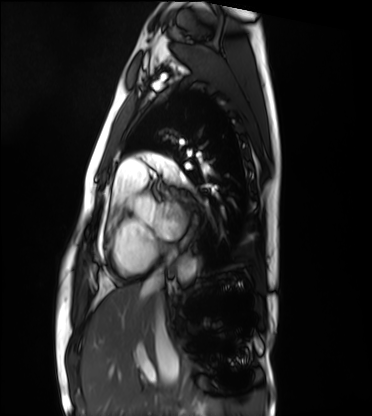
* modality — cardiac MRI
* subject group — healthy volunteer